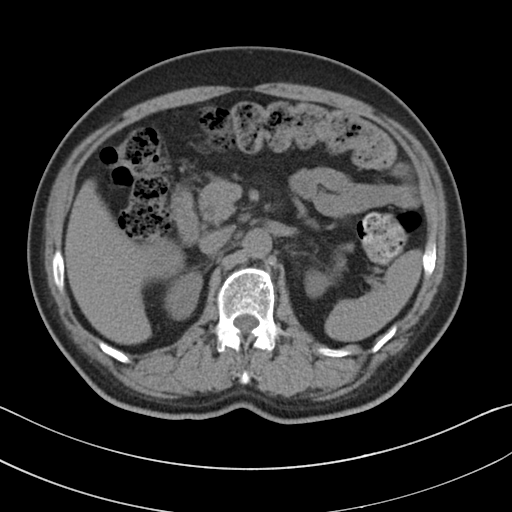
Multiphase abdominal CT, liver, non-contrast phase. Patient: male, age 58. History: viral hepatitis.